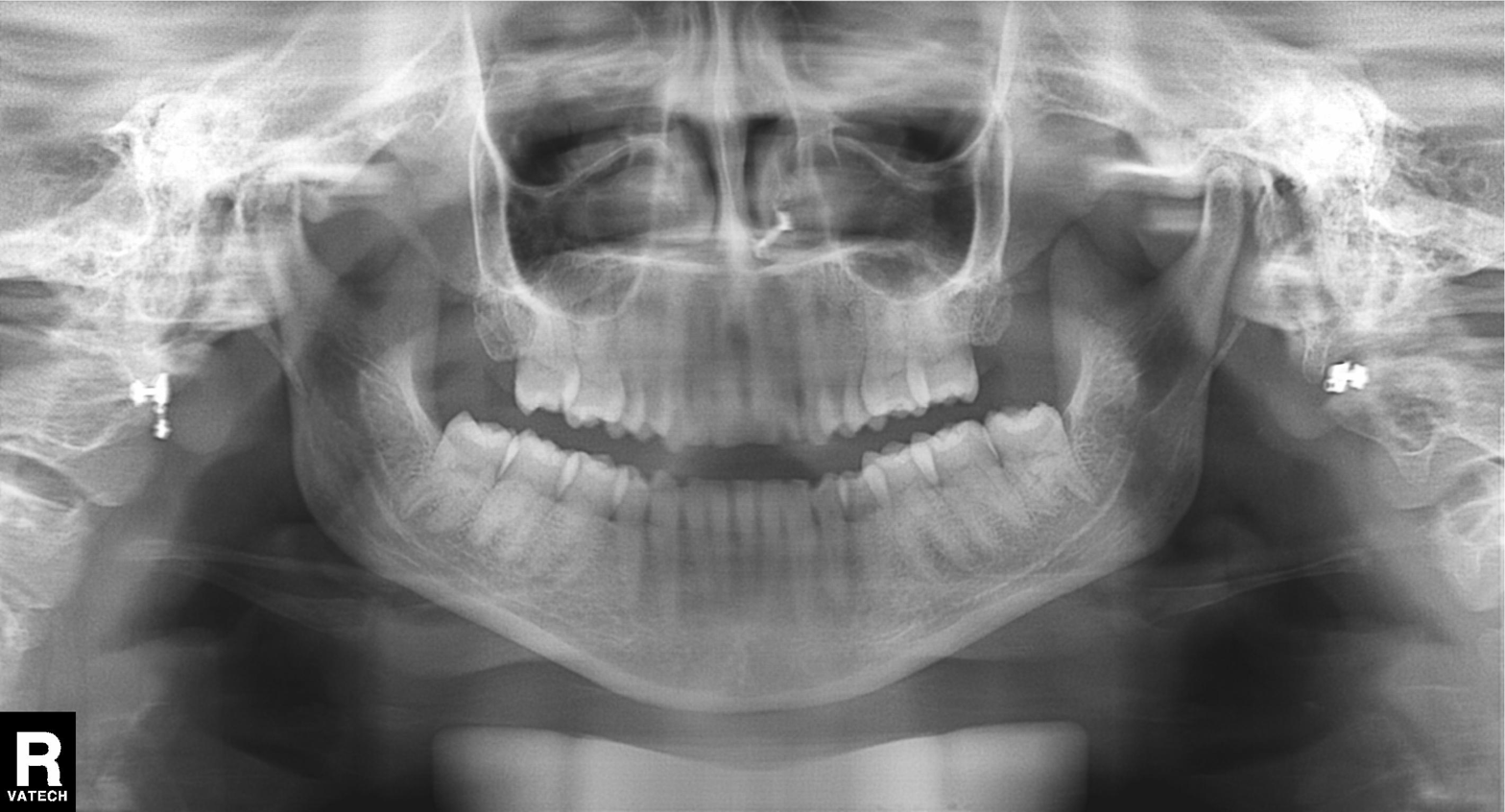
Case summary: Panoramic dental radiograph (orthopantomogram).
Assessment: Dental caries (cavities).